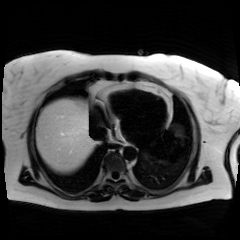
Summary: Chemical-shift-encoded cardiac MRI.